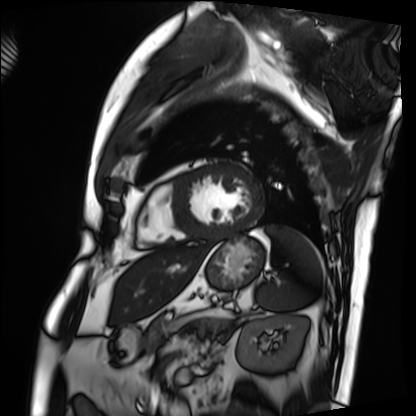
Case summary:
Cardiac MRI. Subject group: patient.